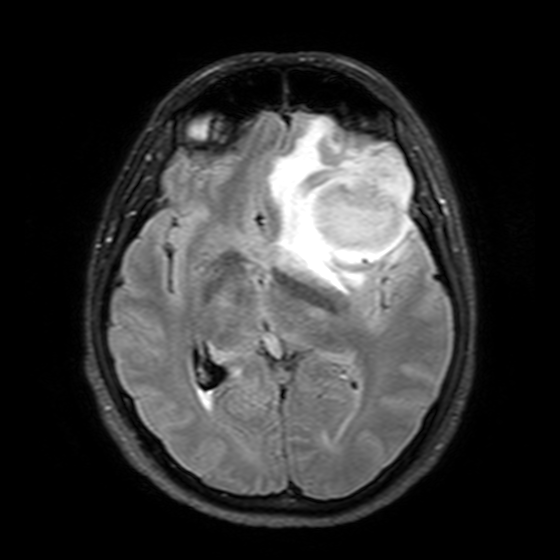
Q: What kind of scan is this?
A: 3 Tesla brain MRI.
Q: Series?
A: T2-weighted FLAIR.
Study: ring-enhancing brain masses.